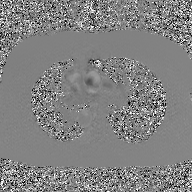
2D phase-contrast cine MRI of the ascending aorta, GAN super-resolution reconstruction.